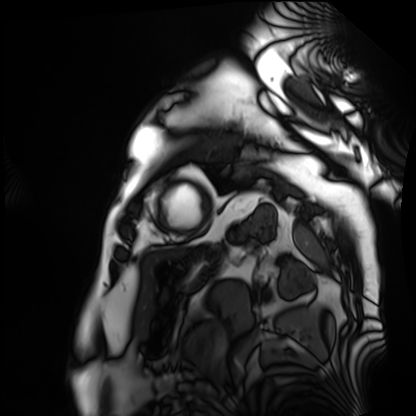
Cardiac MRI. Subject group: patient.